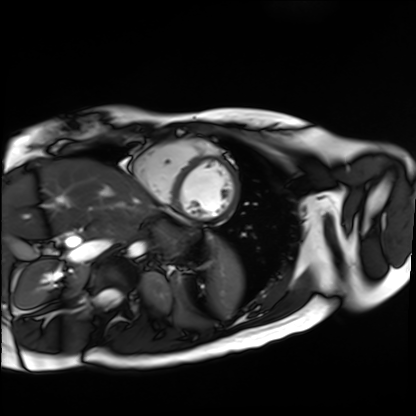
modality = cardiac MR image of the myocardium
subject cohort = healthy volunteer